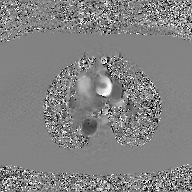
2D phase-contrast cine MRI of the ascending aorta, GAN super-resolution reconstruction.